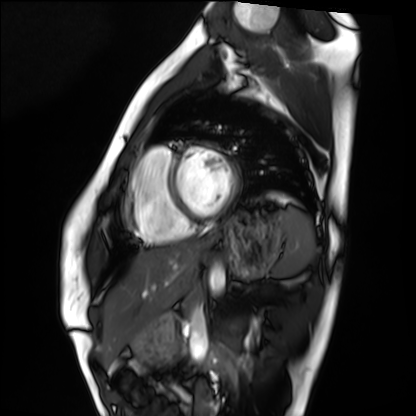
modality=cardiac MRI; subject group=healthy volunteer.